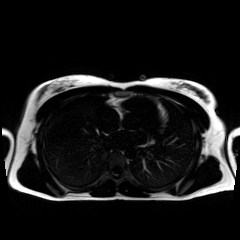
Chemical-shift-encoded cardiac MRI.